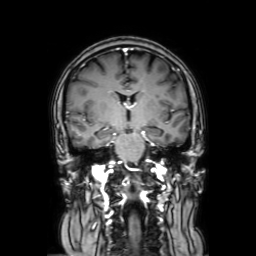
• modality · 3 Tesla brain MRI
• study · ring-enhancing brain masses